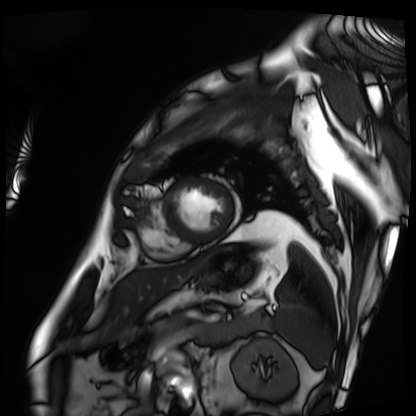
<record>
<modality>cardiac MRI</modality>
<cohort>patient</cohort>
</record>